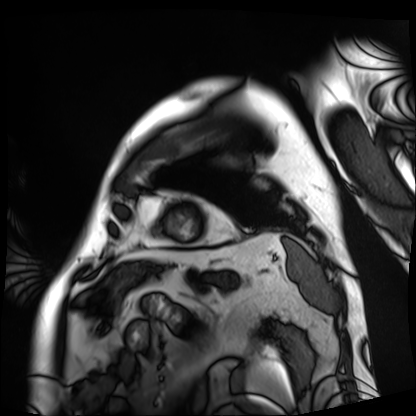
{"modality": "cardiac MRI", "cohort": "patient"}